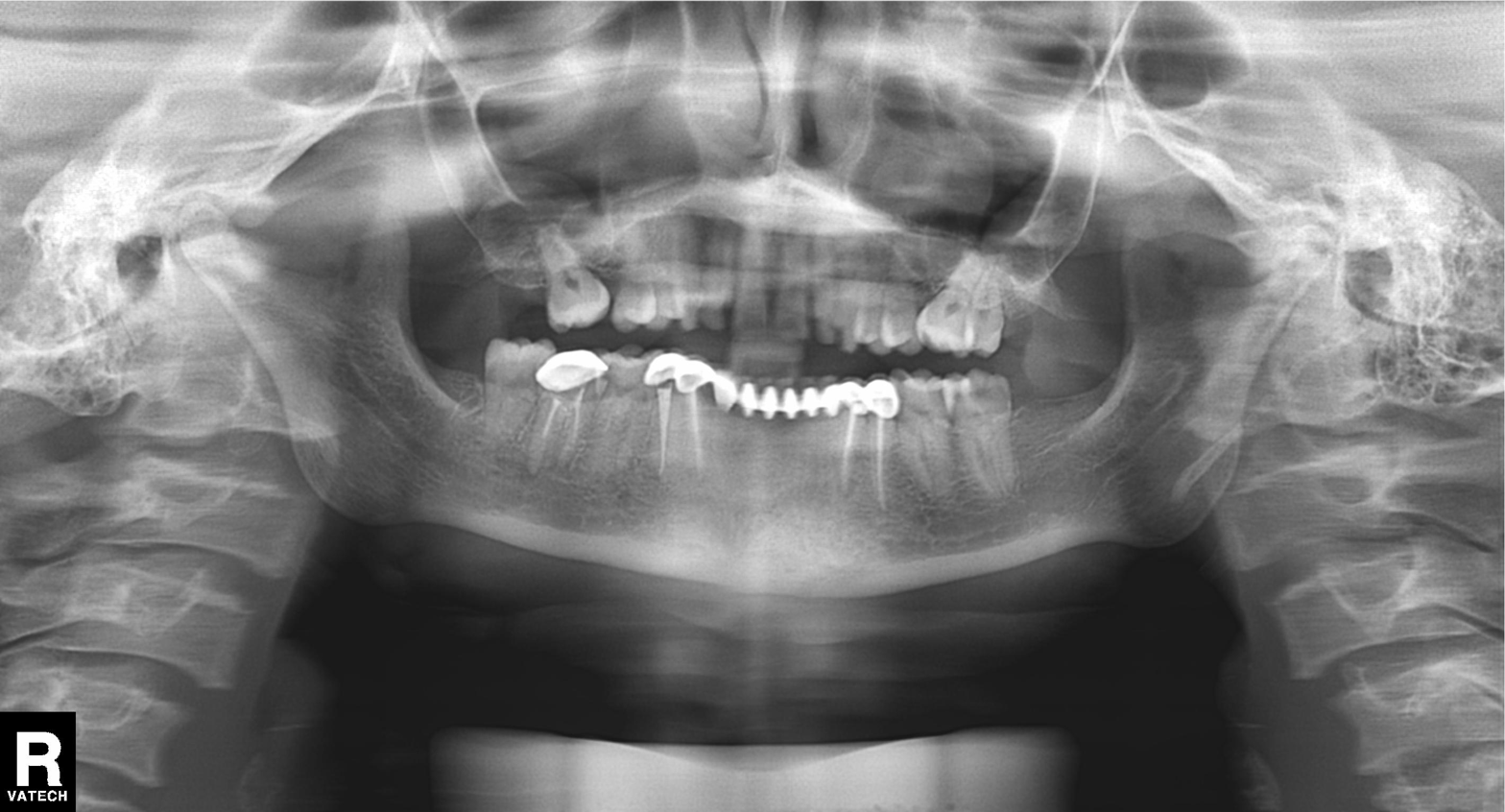
{"modality": "panoramic dental radiograph (orthopantomogram)", "finding": "dental caries (cavities)"}